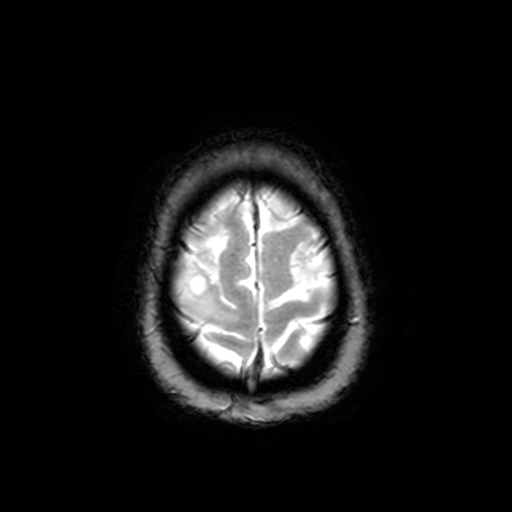
Case:
• modality · 3 Tesla brain MRI
• series · T2-weighted fast field echo
• study · ring-enhancing brain masses